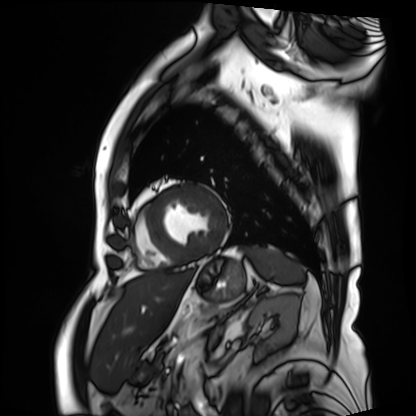
<case>
  <modality>cardiac MRI</modality>
  <cohort>patient</cohort>
</case>